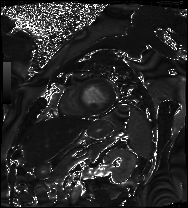
Case:
• modality — cardiac MRI
• subject group — patient